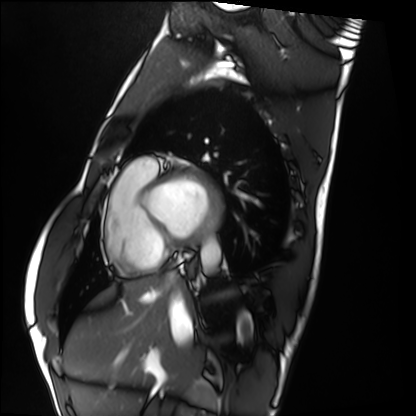
• modality: cardiac MRI
• subject group: healthy volunteer